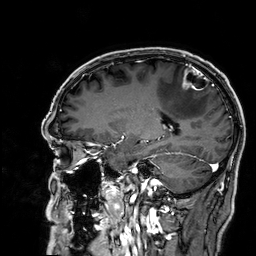
Clinical context:
3 Tesla brain MRI. Series: 3D T1-weighted. Study: ring-enhancing brain masses.